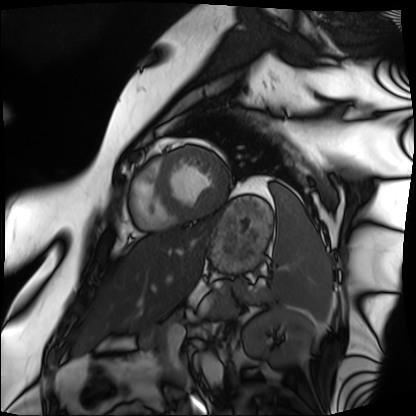
modality: cardiac MRI; subject group: patient.